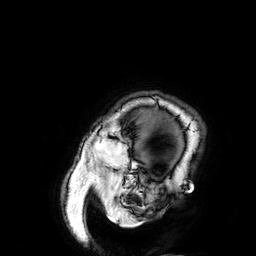
3 Tesla brain MRI.
Study: ring-enhancing brain masses.